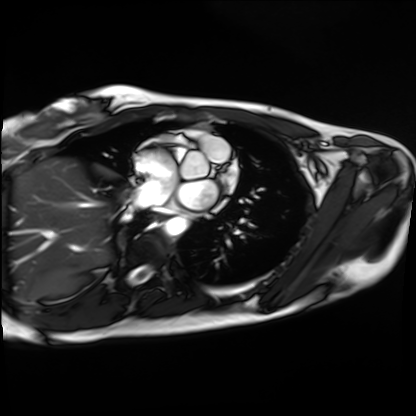
Cardiac MRI.
Subject group: healthy volunteer.